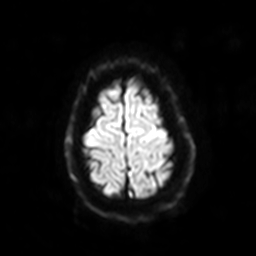
modality: 3 Tesla brain MRI
series: diffusion-weighted imaging with SENSE (WIP)
study: ring-enhancing brain masses